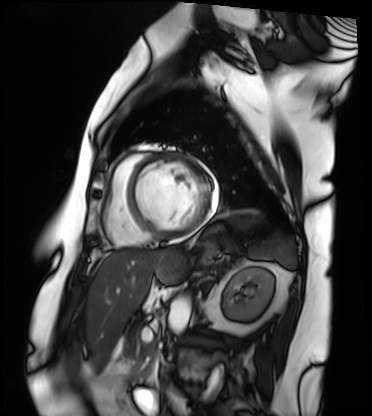
modality = cardiac MRI; subject group = patient.